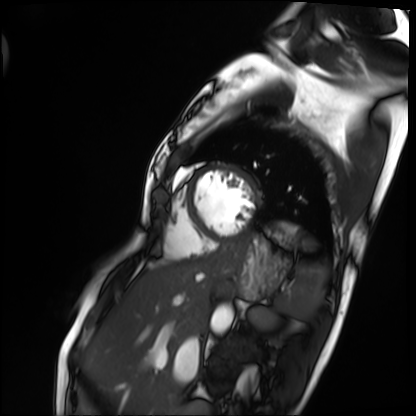
modality — cardiac MRI | subject group — patient.